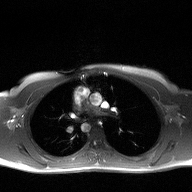
Summary: 2D phase-contrast cine MRI of the ascending aorta, high-resolution GRAPPA acquisition.